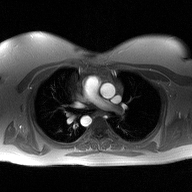
2D phase-contrast cine MRI of the ascending aorta, high-resolution GRAPPA acquisition.